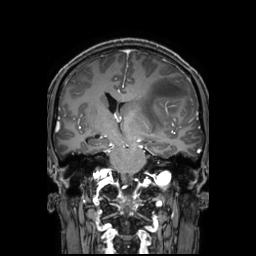
modality — 3 Tesla brain MRI; series — 3D T1-weighted TFE with SENSE; study — ring-enhancing brain masses.